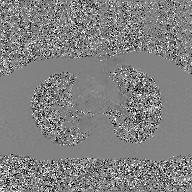
2D phase-contrast cine MRI of the ascending aorta, GAN super-resolution reconstruction.